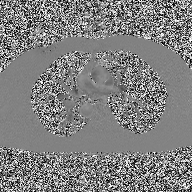
2D phase-contrast cine MRI of the ascending aorta, high-resolution GRAPPA acquisition.